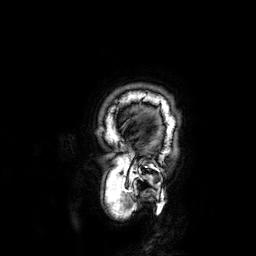
3 Tesla brain MRI. Series: 3D T1-weighted. Study: ring-enhancing brain masses.